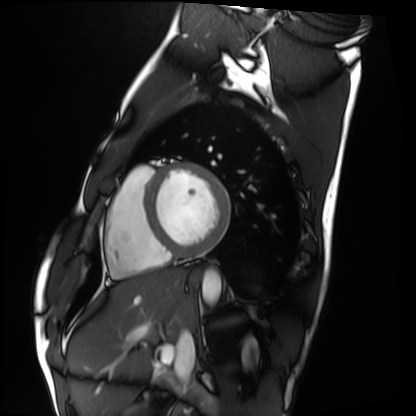
- modality — cardiac MRI
- subject group — healthy volunteer